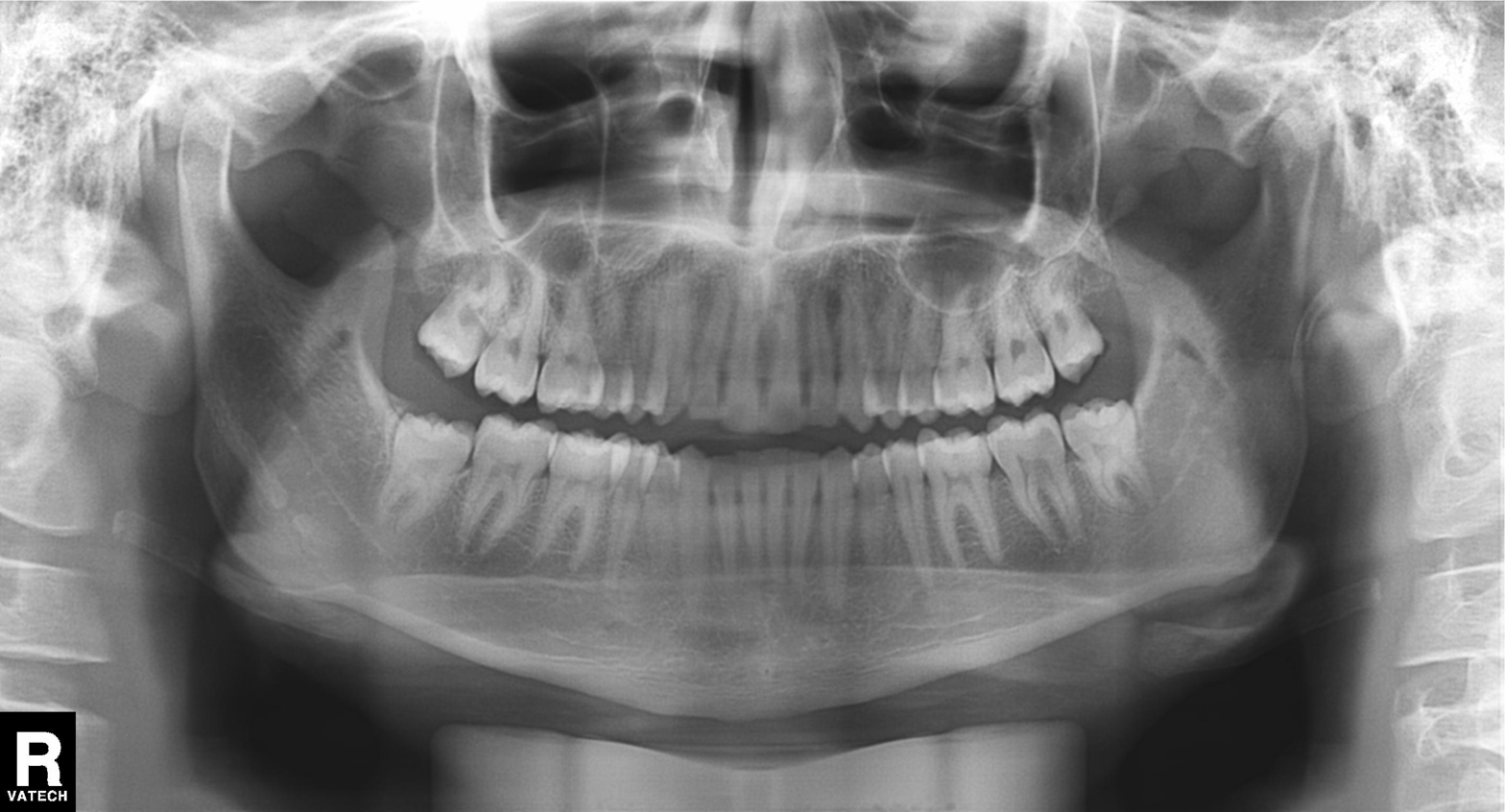
Panoramic dental radiograph (orthopantomogram). Finding: alveolar bone loss.